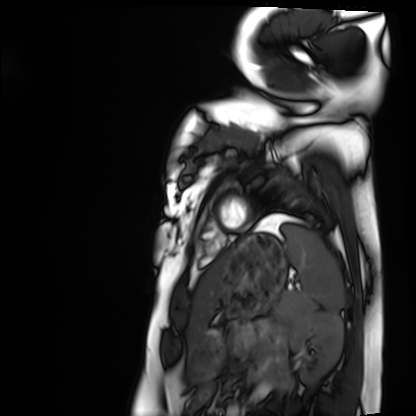
Cardiac MRI.
Subject group: healthy volunteer.